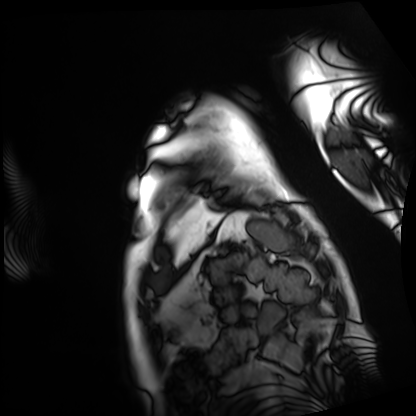
| field | value |
|---|---|
| modality | cardiac MRI |
| subject group | patient |